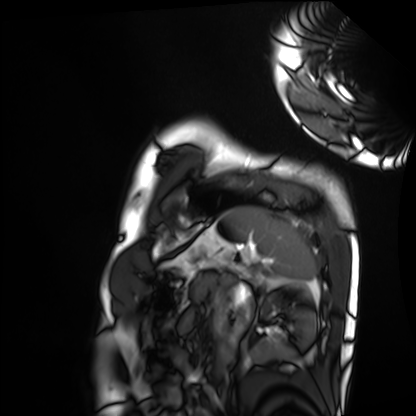
Cardiac MRI. Subject group: healthy volunteer.